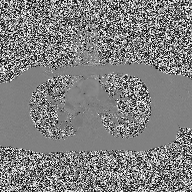
| field | value |
|---|---|
| modality | 2D phase-contrast cine MRI of the ascending aorta |